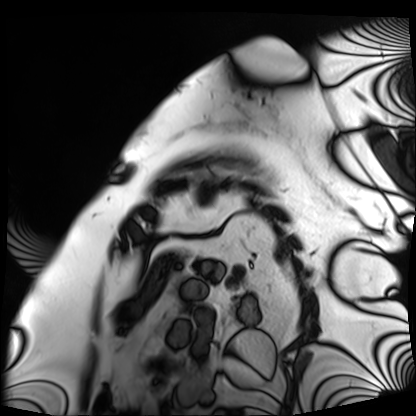
Summary:
Cardiac MRI. Subject group: patient.